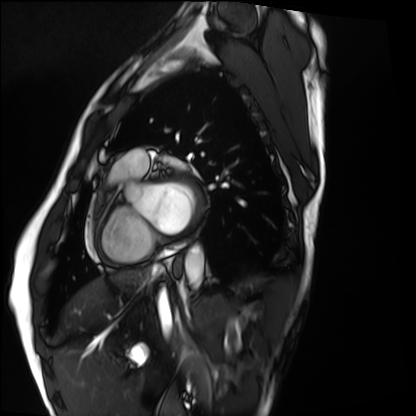
modality: cardiac MRI
cohort: healthy volunteer